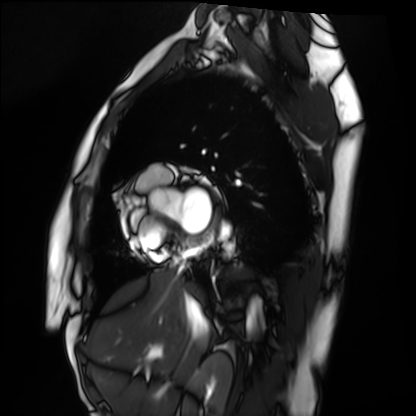
Summary:
Cardiac MRI. Subject group: healthy volunteer.